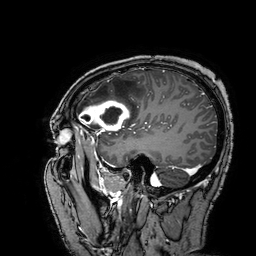
<record>
<modality>
  <type>brain MRI</type>
  <field_strength>3T</field_strength>
</modality>
<series>3D T1-weighted turbo field echo with SENSE</series>
<study_topic>ring-enhancing brain masses</study_topic>
</record>